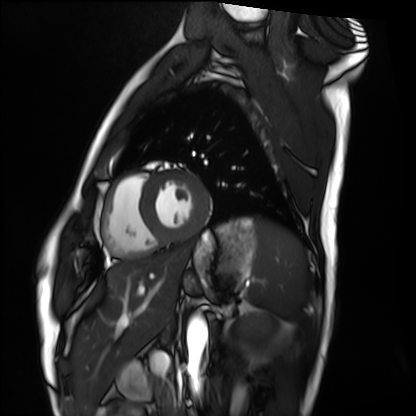
Cardiac MRI. Subject group: healthy volunteer.